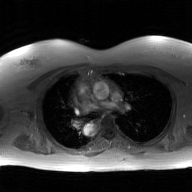
modality=2D phase-contrast cine MRI of the ascending aorta, GAN super-resolution reconstruction.